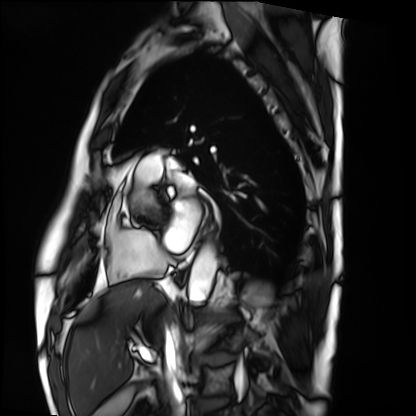
  modality: cardiac MRI
  cohort: patient